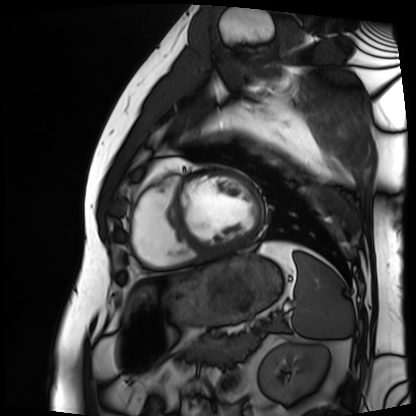
modality: cardiac MRI | subject group: patient.